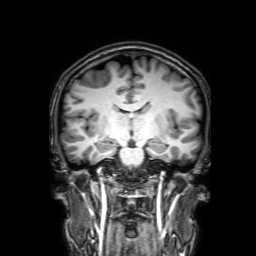
3 Tesla brain MRI. Series: 3D T1-weighted with SENSE. Study: ring-enhancing brain masses.